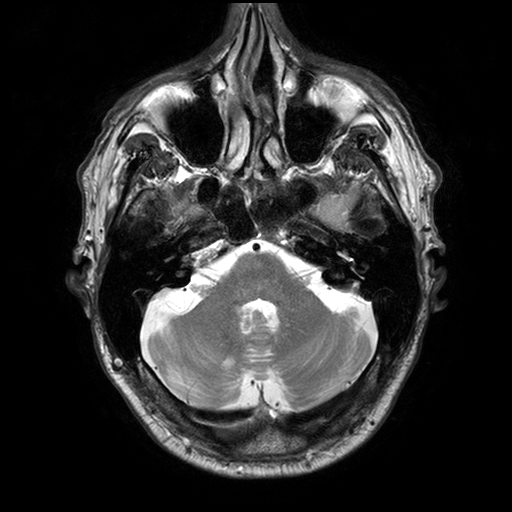
3 Tesla brain MRI.
Series: T2-weighted turbo spin echo with SENSE.
Study: ring-enhancing brain masses.